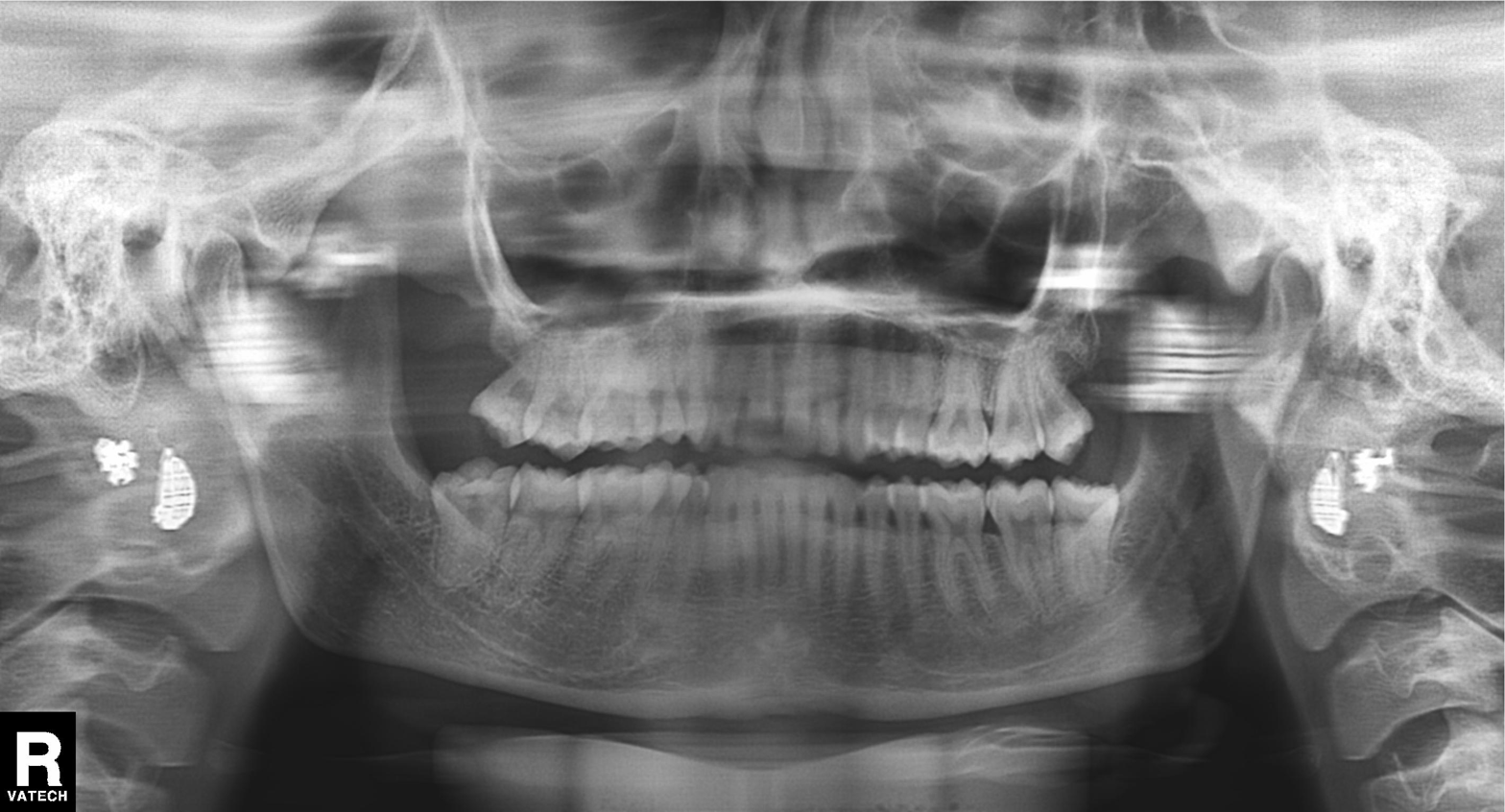
Panoramic dental radiograph (orthopantomogram). Finding: tooth impaction.